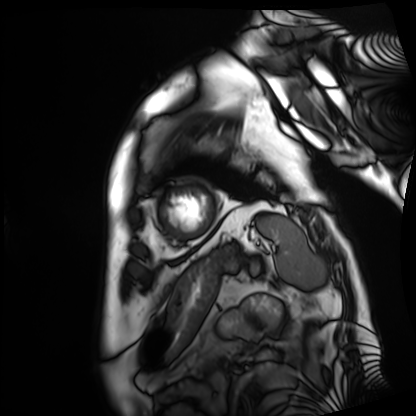
{
  "modality": "cardiac MRI",
  "cohort": "patient"
}